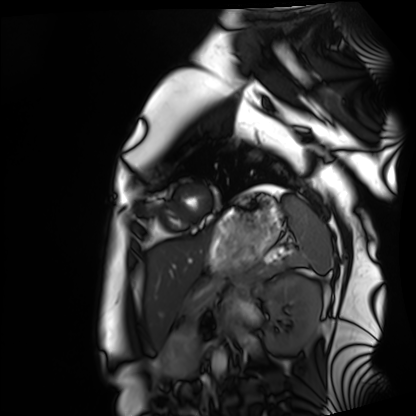
Cardiac MRI. Subject group: healthy volunteer.